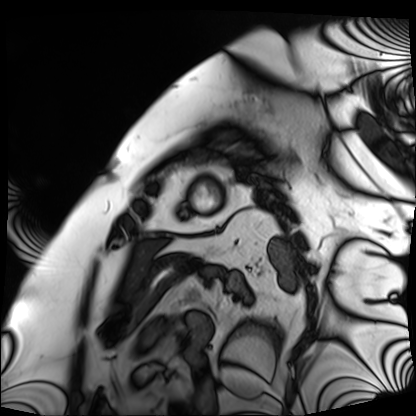
Cardiac MRI.
Subject group: patient.